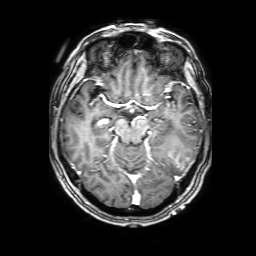
3 Tesla brain MRI. Series: 3D T1-weighted with SENSE. Study: ring-enhancing brain masses.